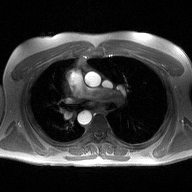
Case:
– modality · 2D phase-contrast cine MRI of the ascending aorta